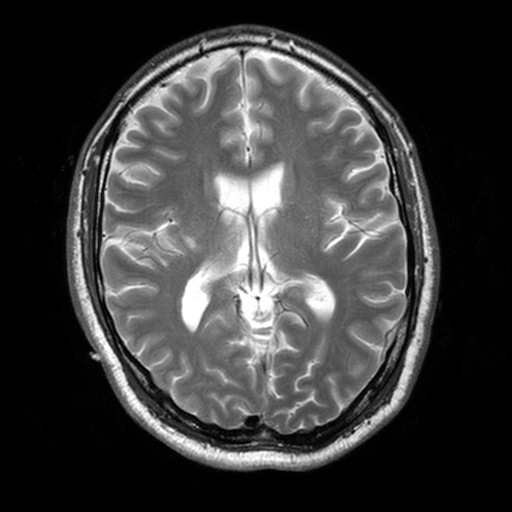
3 Tesla brain MRI. Series: T2-weighted turbo spin echo, 3 mm. Study: ring-enhancing brain masses.